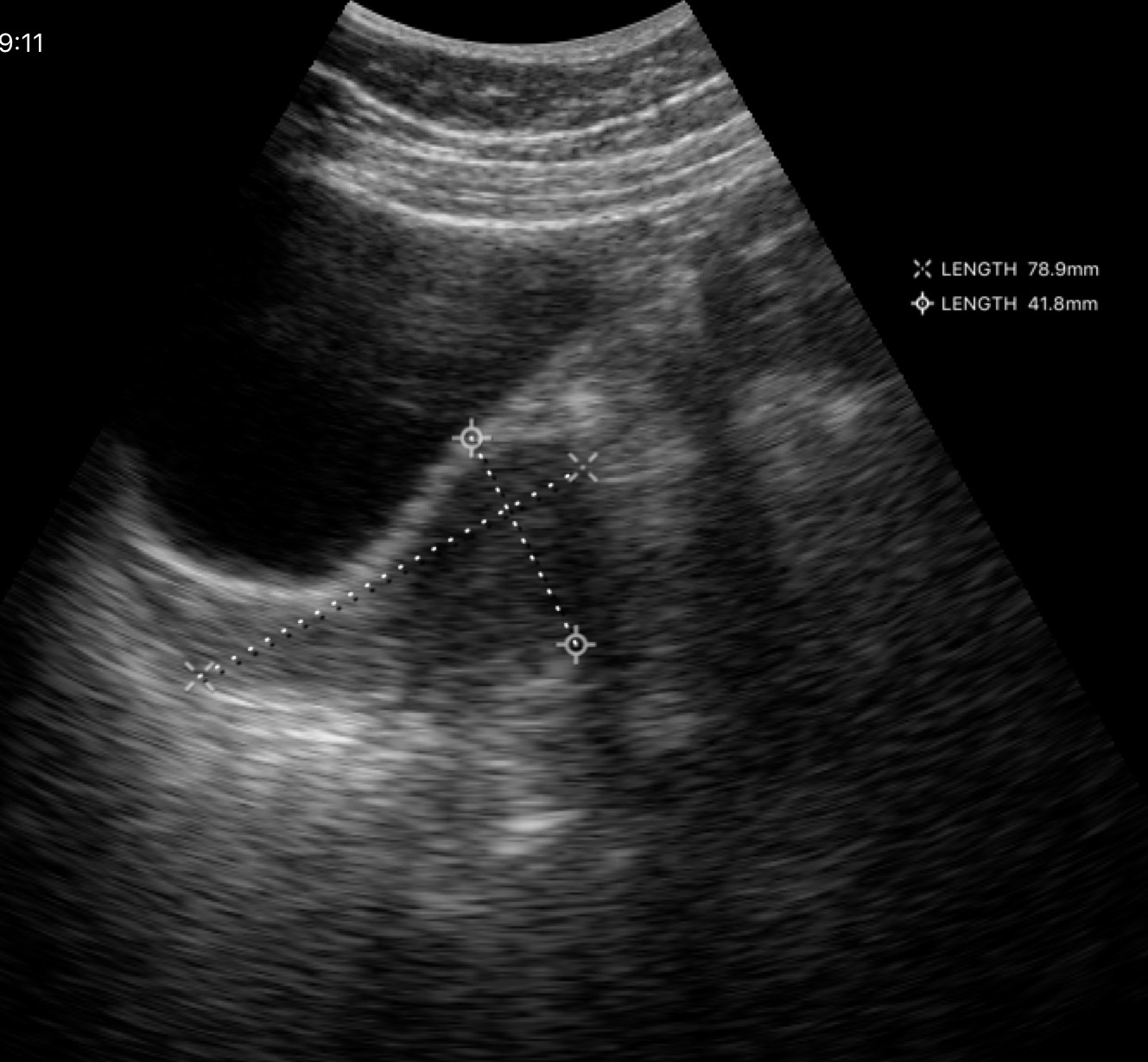
Genitourinary ultrasound.